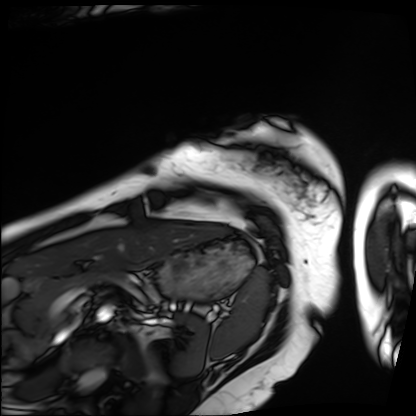
modality = cardiac MRI, subject group = patient.